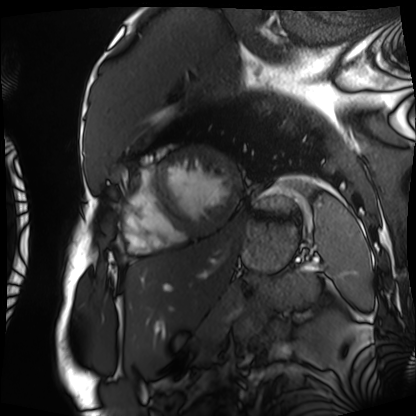
{"modality": "cardiac MRI", "cohort": "patient"}